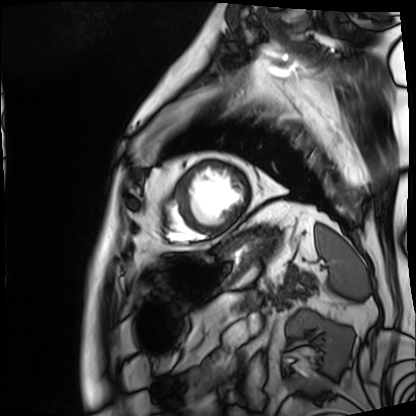
* modality · cardiac MRI
* subject group · patient